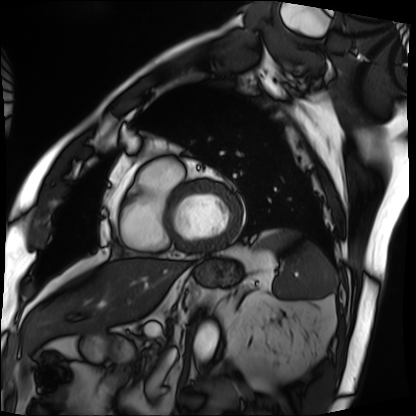
Cardiac MRI.
Subject group: patient.